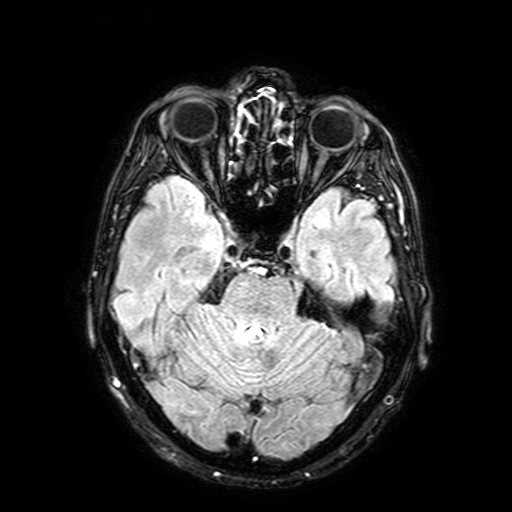
{
  "modality": {
    "type": "brain MRI",
    "field_strength": "3T"
  },
  "series": "FLAIR with SPAIR, 3 mm",
  "study_topic": "ring-enhancing brain masses"
}